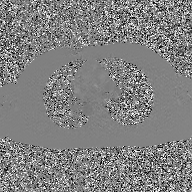
Clinical context:
2D phase-contrast cine MRI of the ascending aorta, GAN super-resolution reconstruction.